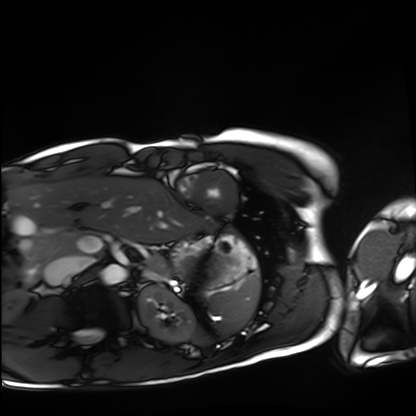
- modality — cardiac MRI
- subject group — healthy volunteer